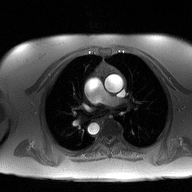
modality: 2D phase-contrast cine MRI of the ascending aorta